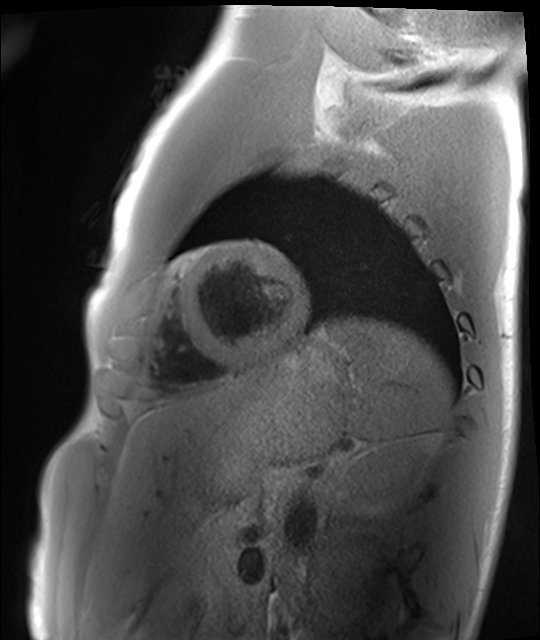
• modality · cardiac MRI
• subject group · healthy volunteer